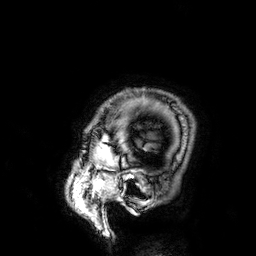
Clinical context:
3 Tesla brain MRI. Series: 3D T1-weighted. Study: ring-enhancing brain masses.